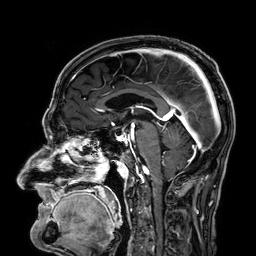
3 Tesla brain MRI. Series: 3D T1-weighted. Study: ring-enhancing brain masses.